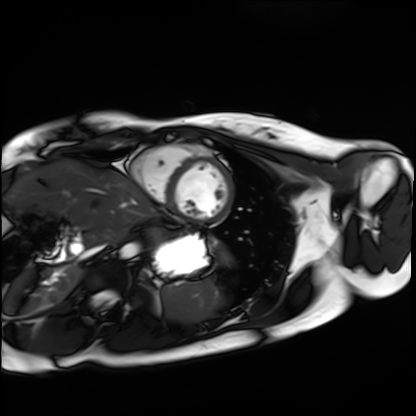
Cardiac MRI.
Subject group: healthy volunteer.